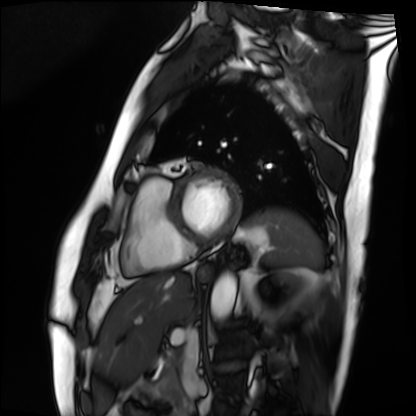
modality = cardiac MRI
subject group = patient